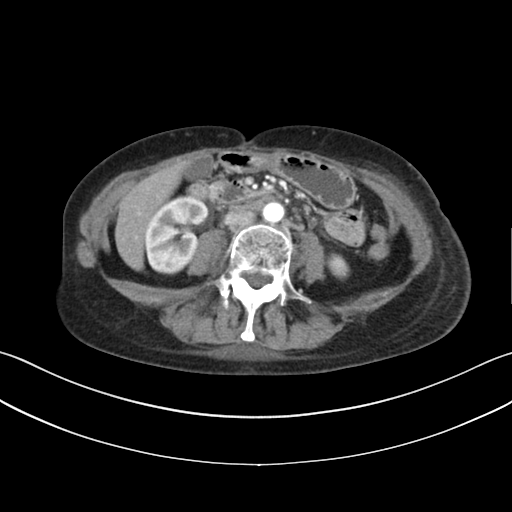
Multiphase abdominal CT, liver, arterial phase. Patient: female, age 51. History: prior chemotherapy.